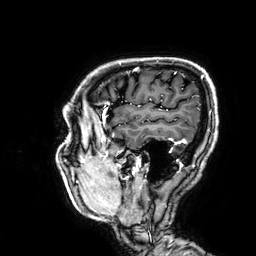
Summary: 3 Tesla brain MRI. Series: 3D T1-weighted. Study: ring-enhancing brain masses.